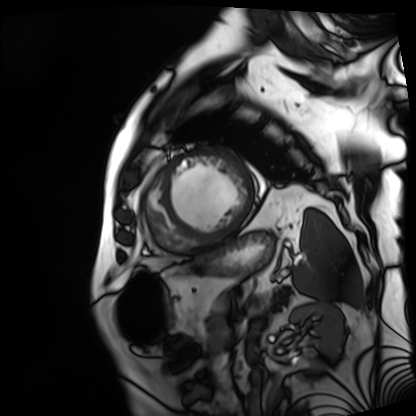
• modality — cardiac MRI
• subject group — patient